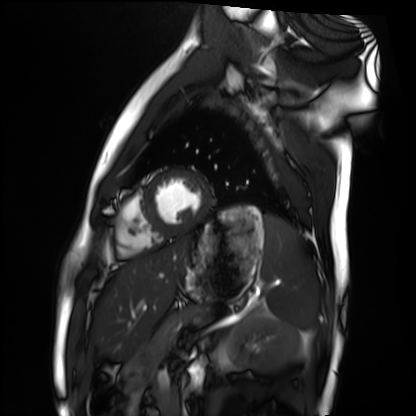
  modality: cardiac MRI
  cohort: healthy volunteer